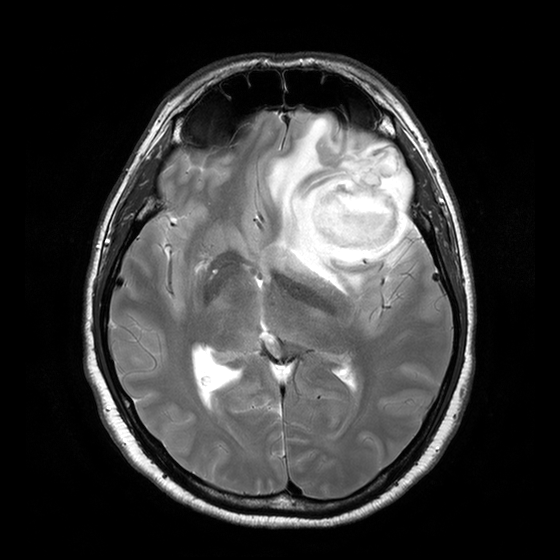
Case summary:
3 Tesla brain MRI. Series: T2-weighted turbo spin echo with CLEAR. Study: ring-enhancing brain masses.